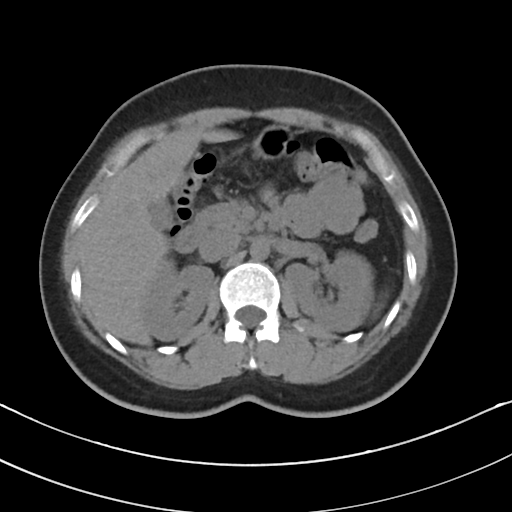
Multiphase abdominal CT, liver, non-contrast phase.
Patient: female, age 31.
History: prior chemotherapy.